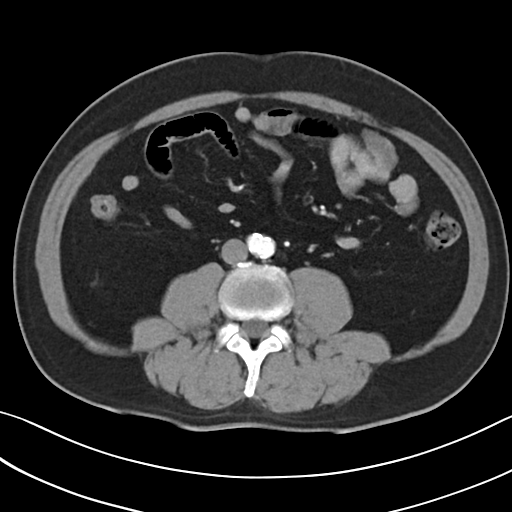
Multiphase abdominal CT, liver, arterial phase. Patient: male, age 53.